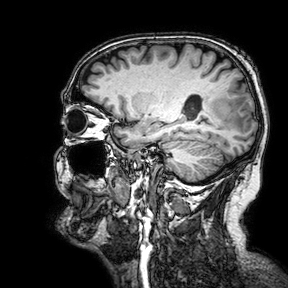
modality: 3 Tesla brain MRI; series: 3D T1-weighted turbo field echo with SENSE; study: ring-enhancing brain masses.